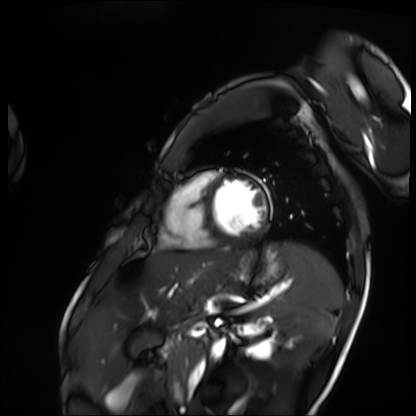
<record>
<modality>cardiac MRI</modality>
<cohort>patient</cohort>
</record>